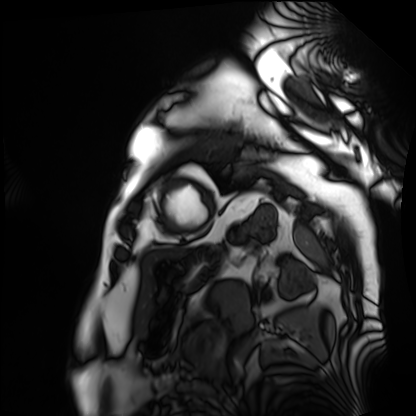
Cardiac MRI. Subject group: patient.